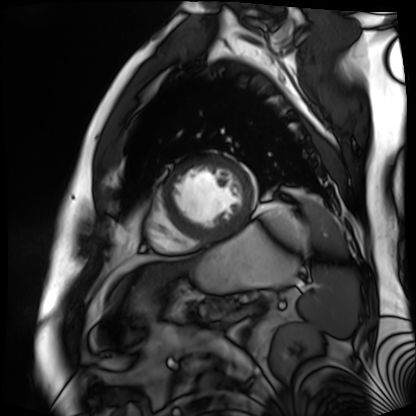
{
  "modality": "cardiac MR image of the myocardium",
  "cohort": "cardiac patient"
}